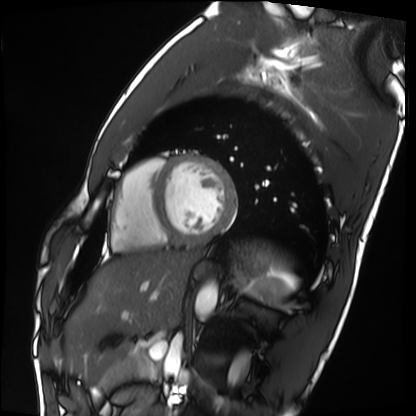
modality: cardiac MRI; subject group: healthy volunteer.